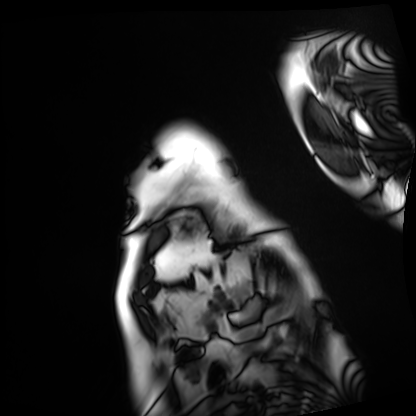
modality: cardiac MRI
subject group: patient